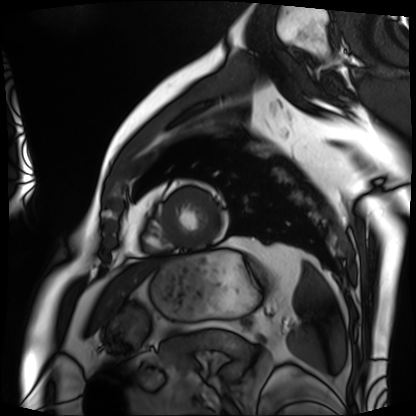
Cardiac MRI. Subject group: patient.